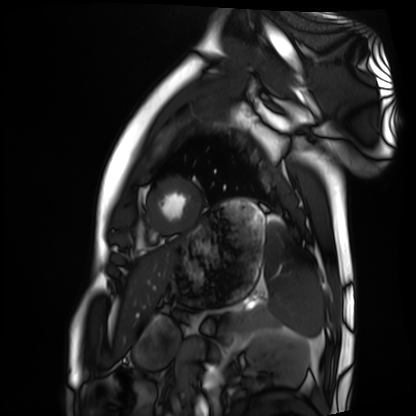
Cardiac MRI.
Subject group: healthy volunteer.